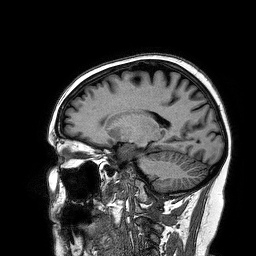
modality = 3 Tesla brain MRI
series = 3D T1-weighted turbo field echo
study = ring-enhancing brain masses